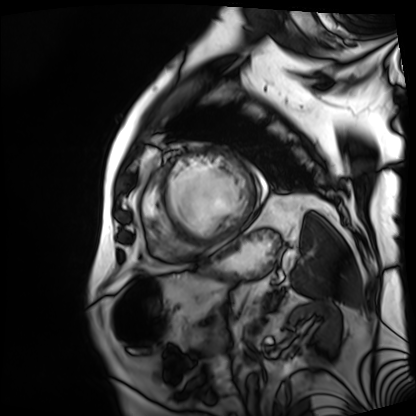
Cardiac MRI. Subject group: patient.